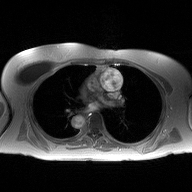
2D phase-contrast cine MRI of the ascending aorta, high-resolution GRAPPA acquisition.